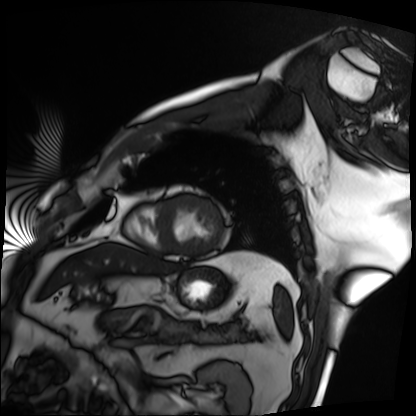
modality: cardiac MRI
subject group: patient